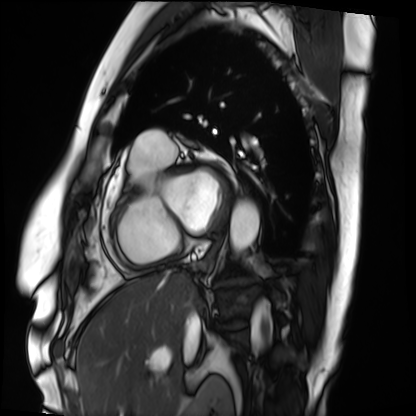
Cardiac MRI.
Subject group: patient.